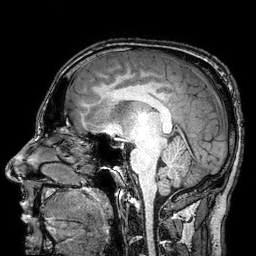
Summary: 3 Tesla brain MRI. Series: 3D T1-weighted turbo field echo with SENSE. Study: ring-enhancing brain masses.